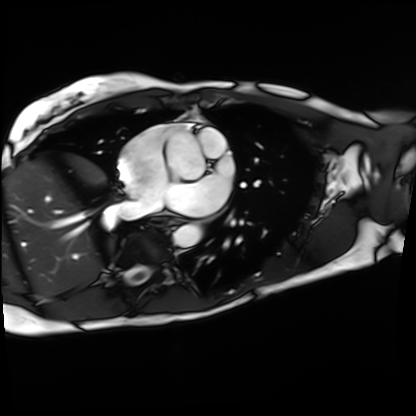
Cardiac MRI. Subject group: patient.